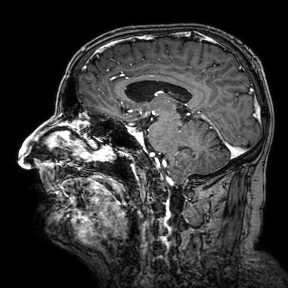
Summary: 3 Tesla brain MRI. Series: 3D T1-weighted turbo field echo with SENSE. Study: ring-enhancing brain masses.